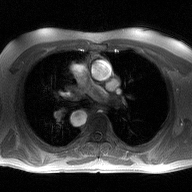
2D phase-contrast cine MRI of the ascending aorta, high-resolution GRAPPA acquisition.